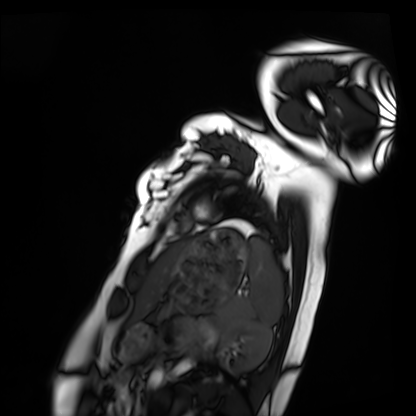
Cardiac MRI. Subject group: healthy volunteer.